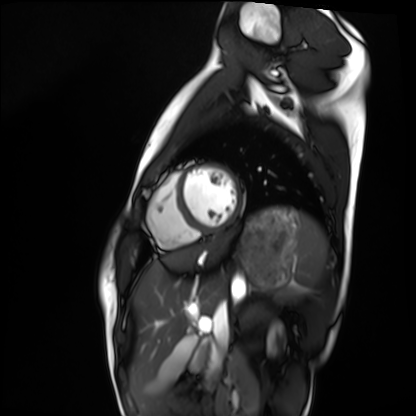
Clinical context: Cardiac MRI. Subject group: healthy volunteer.